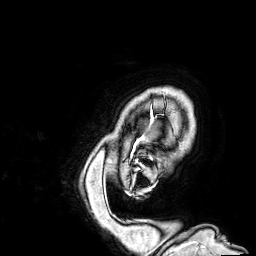
3 Tesla brain MRI.
Series: 3D T1-weighted.
Study: ring-enhancing brain masses.